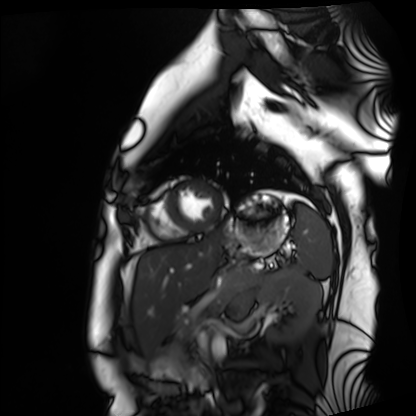
Case summary:
Cardiac MRI. Subject group: healthy volunteer.